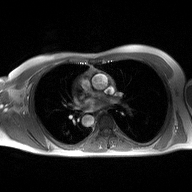
Q: What kind of scan is this?
A: 2D phase-contrast cine MRI of the ascending aorta.